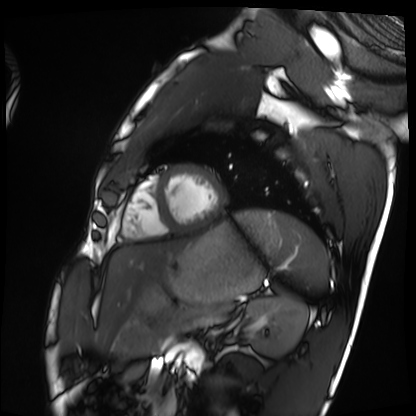
Cardiac MRI. Subject group: healthy volunteer.